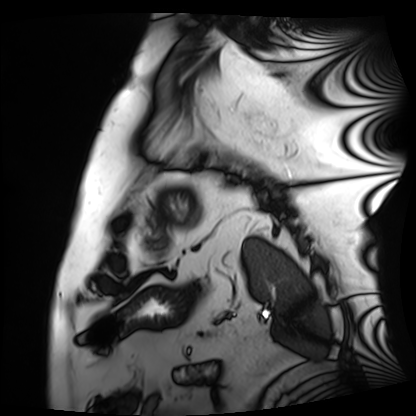
| field | value |
|---|---|
| modality | cardiac MRI |
| subject group | patient |